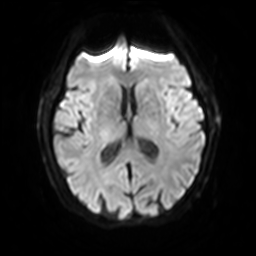
{"modality": {"type": "brain MRI", "field_strength": "3T"}, "study_topic": "ring-enhancing brain masses"}